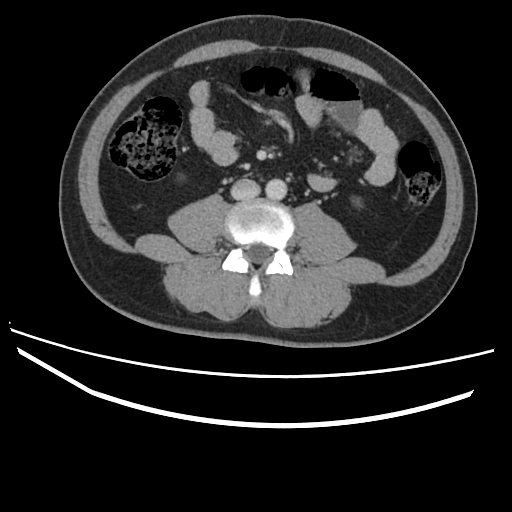
Q: What kind of scan is this?
A: Multiphase abdominal CT, liver, portal venous phase.